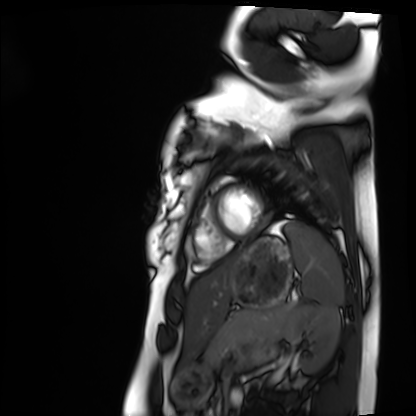
Cardiac MRI.
Subject group: healthy volunteer.